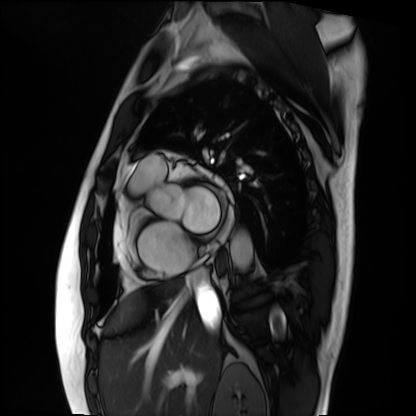
Summary: Cardiac MRI. Subject group: patient.